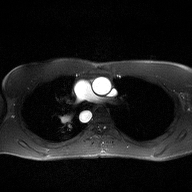
2D phase-contrast cine MRI of the ascending aorta, high-resolution GRAPPA acquisition.